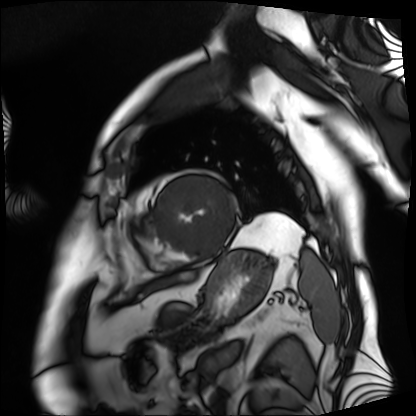
Case summary:
Cardiac MRI. Subject group: patient.